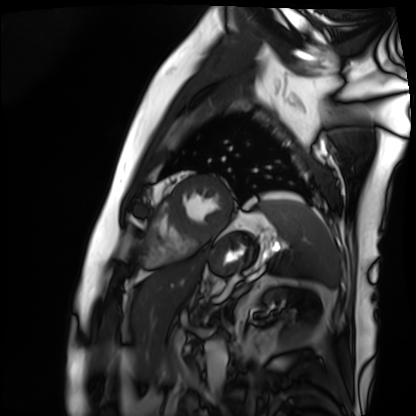
Cardiac MRI. Subject group: patient.